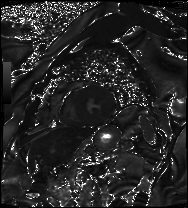
modality: cardiac MRI | subject group: patient.